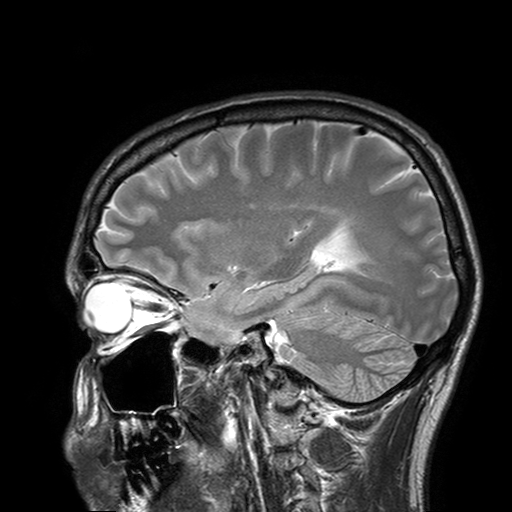
Case summary:
3 Tesla brain MRI. Series: T2-weighted turbo spin echo with SENSE. Study: ring-enhancing brain masses.